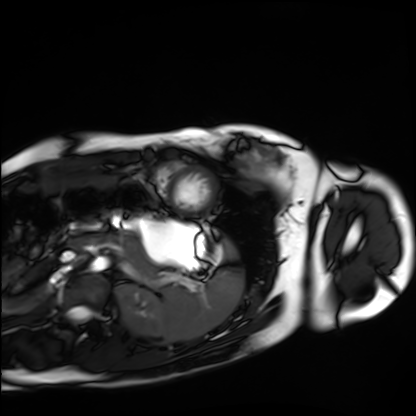
Cardiac MRI. Subject group: healthy volunteer.